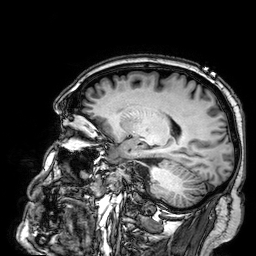
Summary: 3 Tesla brain MRI. Series: 3D T1-weighted. Study: ring-enhancing brain masses.